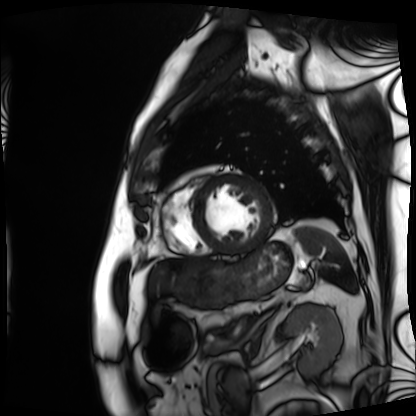
- modality: cardiac MRI
- subject group: patient